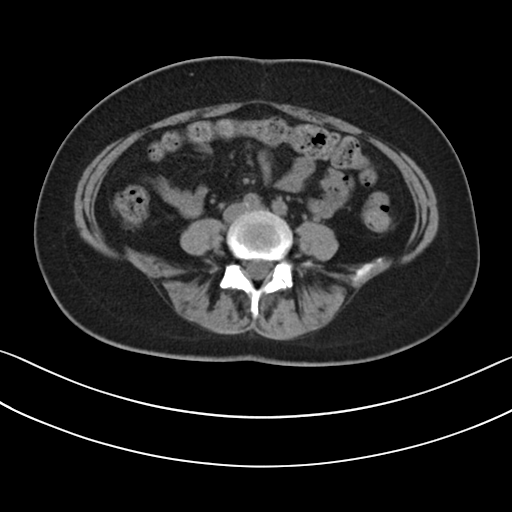
Summary: Multiphase abdominal CT, liver, non-contrast phase. Patient: female, age 41. History: prior chemotherapy.